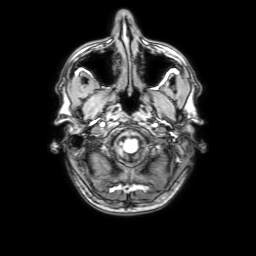
Q: What kind of scan is this?
A: 3 Tesla brain MRI.
Q: Series?
A: 3D T1-weighted with SENSE.
Study: ring-enhancing brain masses.